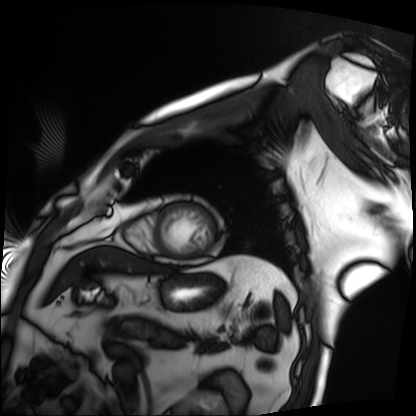
Cardiac MRI. Subject group: patient.